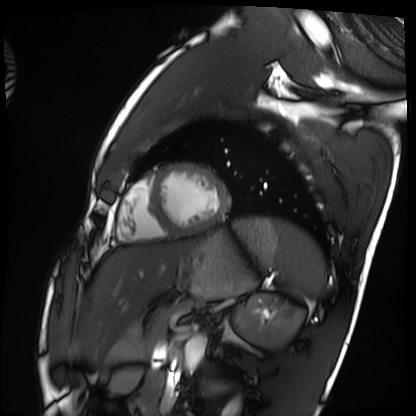
modality: cardiac MRI; subject group: healthy volunteer.